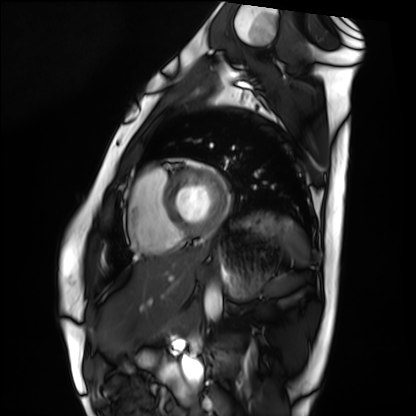
Summary:
Cardiac MRI. Subject group: healthy volunteer.